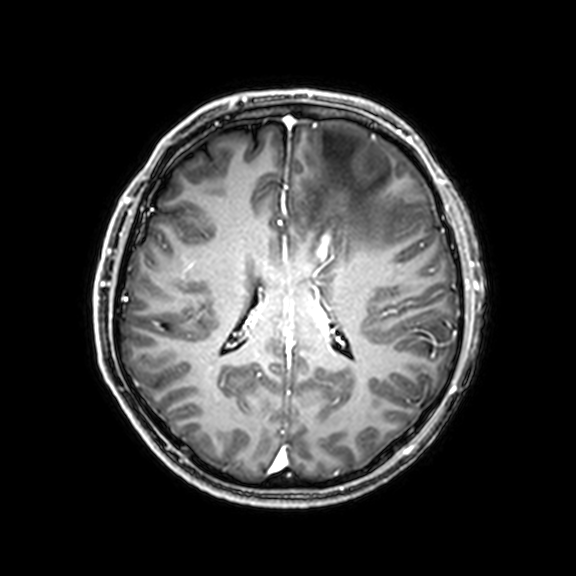
modality: 3 Tesla brain MRI; series: 3D T1-weighted with CLEAR; study: ring-enhancing brain masses.